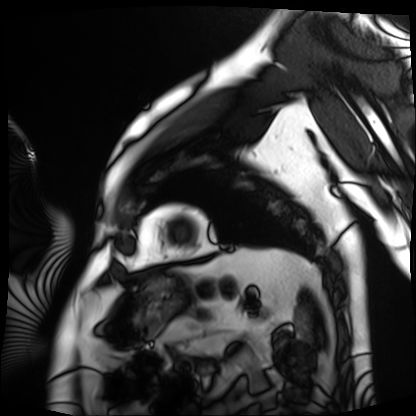
modality: cardiac MRI
cohort: patient